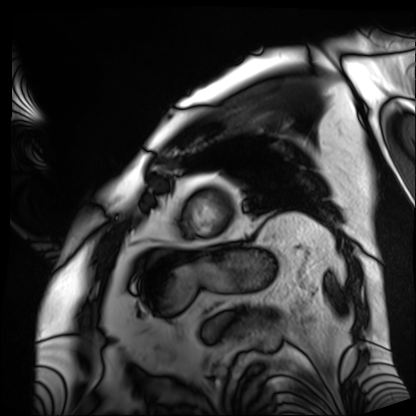
{"modality": "cardiac MRI", "cohort": "patient"}